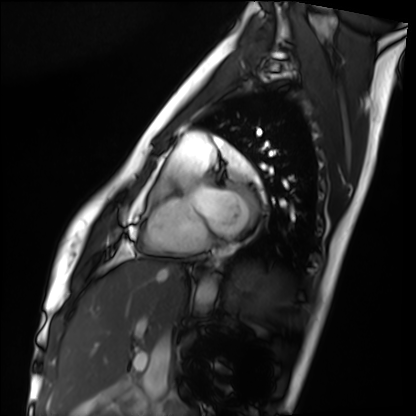
  modality: cardiac MRI
  cohort: healthy volunteer